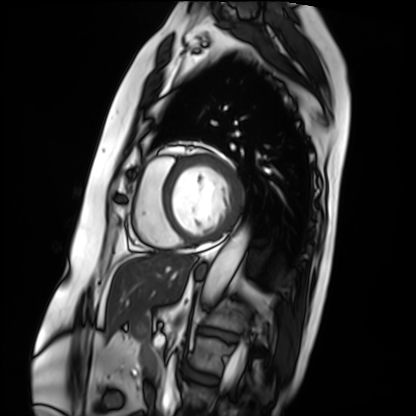
Summary:
Cardiac MRI. Subject group: patient.